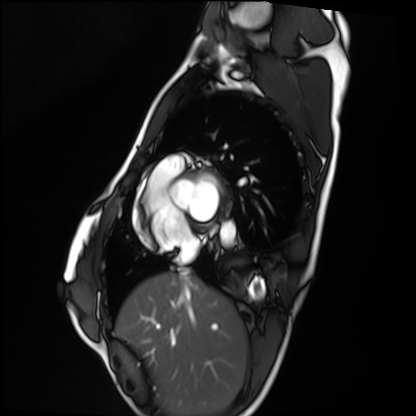
modality = cardiac MRI; subject group = healthy volunteer.